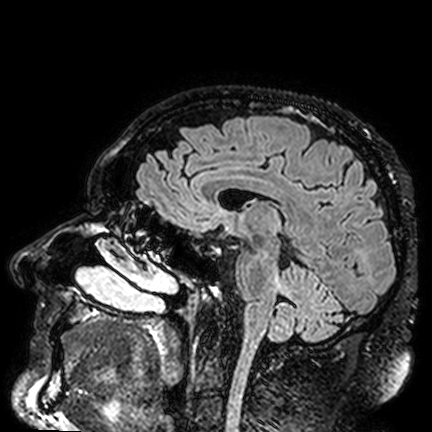
modality: 3 Tesla brain MRI; series: FLAIR VISTA; study: ring-enhancing brain masses.